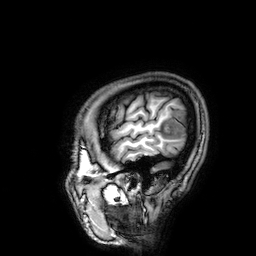
Summary:
3 Tesla brain MRI. Series: 3D T1-weighted. Study: ring-enhancing brain masses.